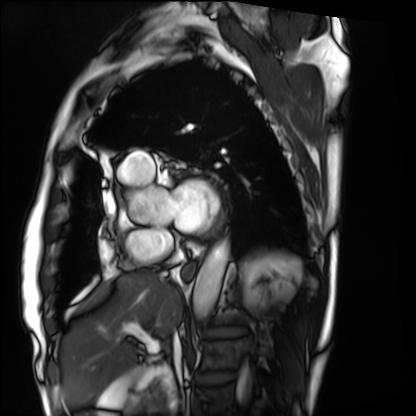
modality = cardiac MRI, subject group = patient.